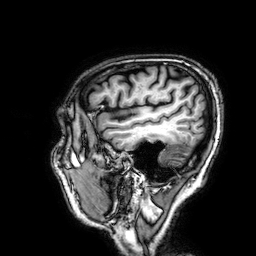
modality: 3 Tesla brain MRI
series: 3D T1-weighted
study: ring-enhancing brain masses